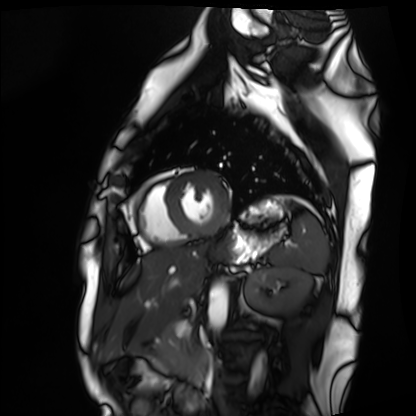
modality = cardiac MRI, subject group = healthy volunteer.